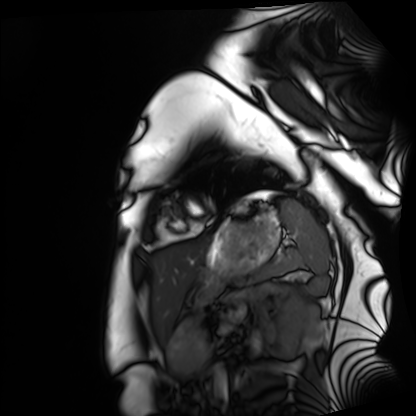
Summary:
Cardiac MRI. Subject group: healthy volunteer.